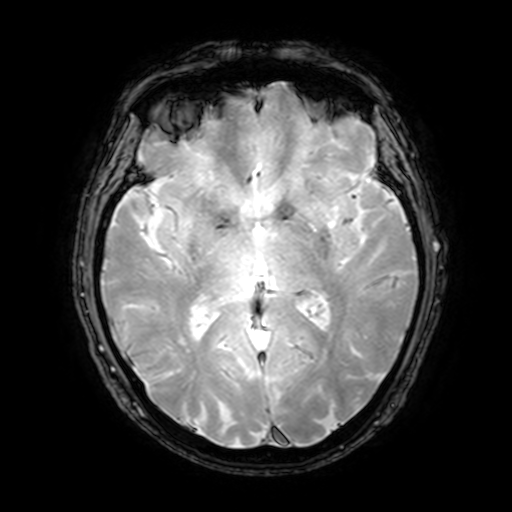
Summary:
3 Tesla brain MRI. Series: T2-weighted fast field echo with SENSE. Study: ring-enhancing brain masses.